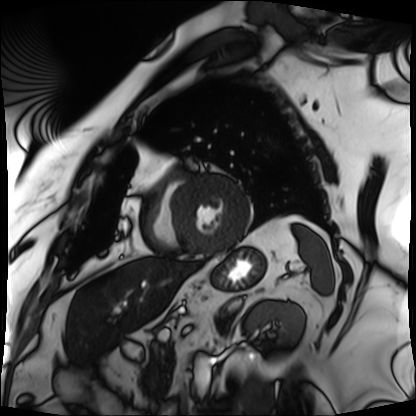
{"modality": "cardiac MRI", "cohort": "patient"}